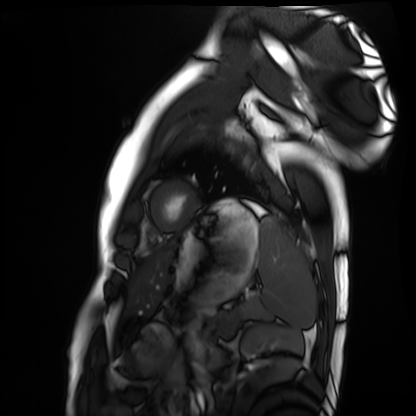
Summary:
Cardiac MRI. Subject group: healthy volunteer.